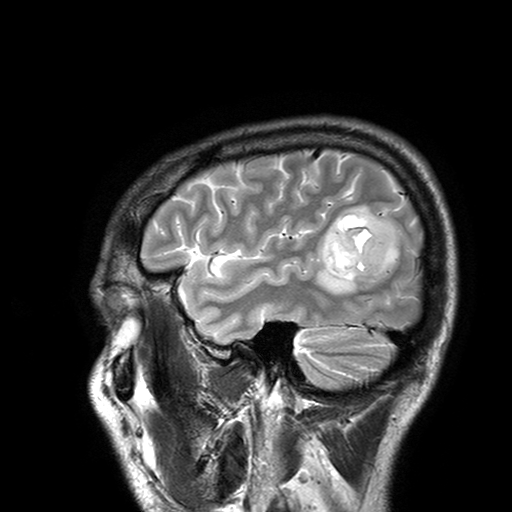
3 Tesla brain MRI. Series: T2-weighted turbo spin echo with SENSE. Study: ring-enhancing brain masses.